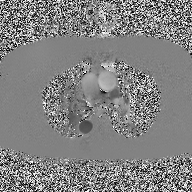
2D phase-contrast cine MRI of the ascending aorta, high-resolution GRAPPA acquisition.